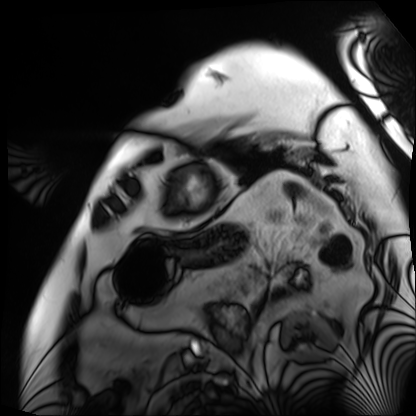
Cardiac MRI.
Subject group: patient.